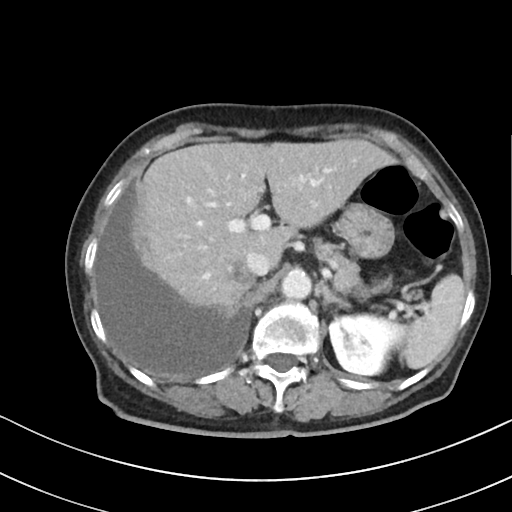
Case:
– modality · multiphase abdominal CT, liver, delayed phase
– patient · female, age 76
– history · prior chemotherapy